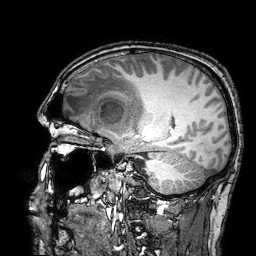
Summary: 3 Tesla brain MRI. Series: 3D T1-weighted turbo field echo with SENSE. Study: ring-enhancing brain masses.